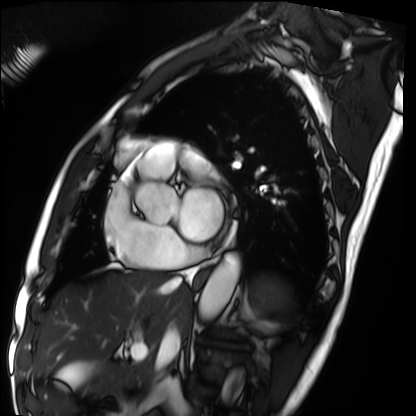
modality = cardiac MRI; subject group = patient.